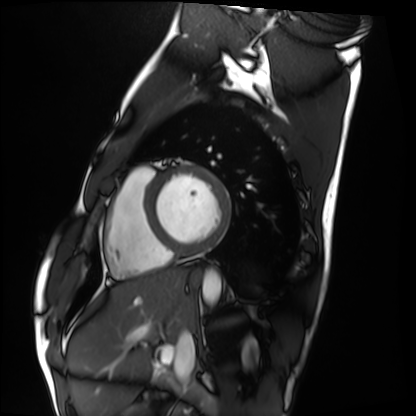
Cardiac MRI. Subject group: healthy volunteer.